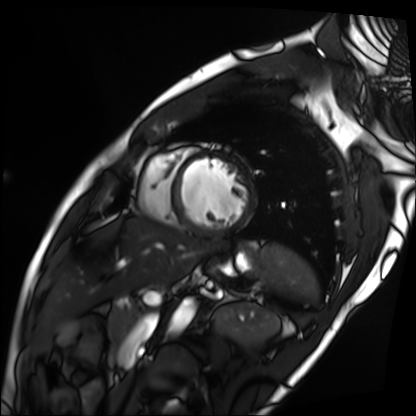
Cardiac MRI. Subject group: patient.